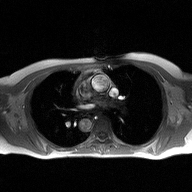
Q: What kind of scan is this?
A: 2D phase-contrast cine MRI of the ascending aorta.